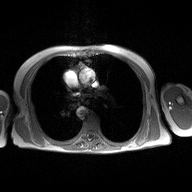
<scan>
<modality>
  <type>2D phase-contrast cine MRI</type>
  <region>ascending aorta</region>
  <reconstruction>high-resolution GRAPPA acquisition</reconstruction>
</modality>
</scan>